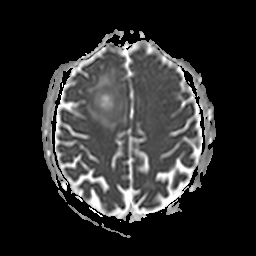
  modality:
    type: brain MRI
    field_strength: 3T
  series: apparent diffusion coefficient (ADC) map
  study_topic: ring-enhancing brain masses